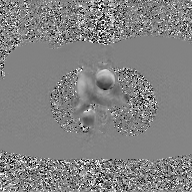
modality:
  type: 2D phase-contrast cine MRI
  region: ascending aorta
  reconstruction: GAN super-resolution reconstruction